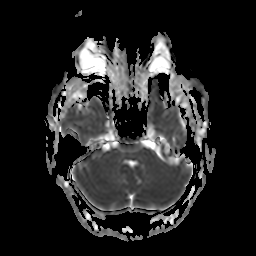
3 Tesla brain MRI. Series: apparent diffusion coefficient (ADC) map. Study: ring-enhancing brain masses.